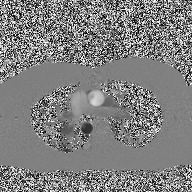
modality — 2D phase-contrast cine MRI of the ascending aorta.